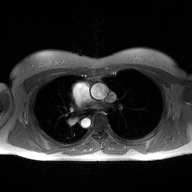
modality — 2D phase-contrast cine MRI of the ascending aorta.